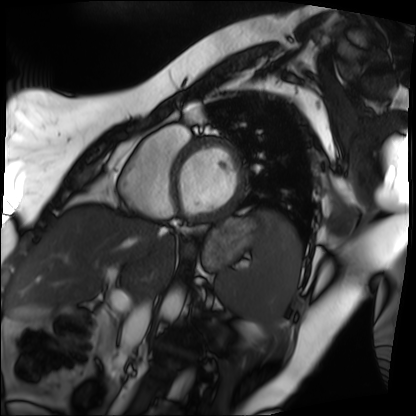
- modality — cardiac MRI
- subject group — patient